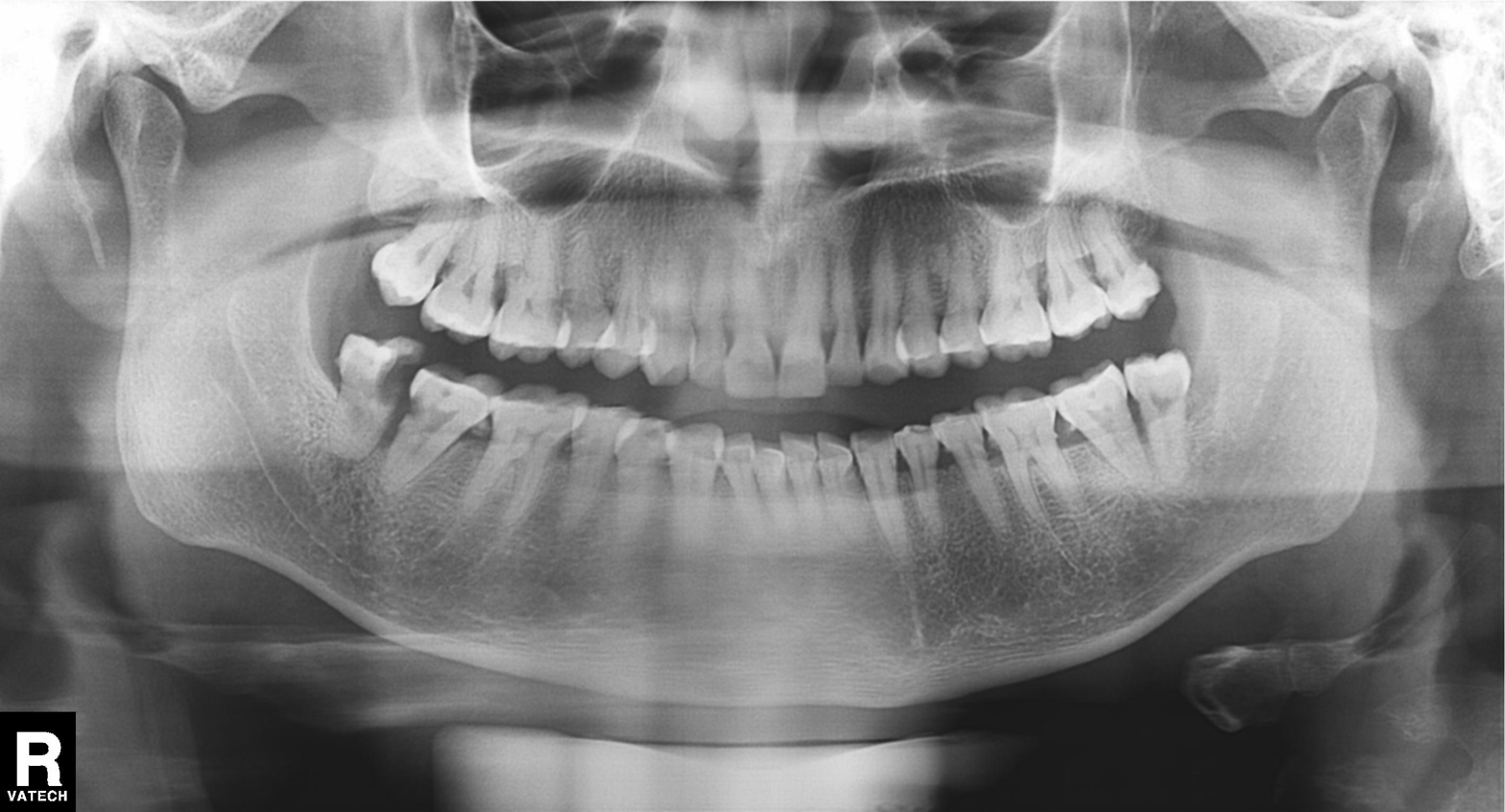
Q: What kind of scan is this?
A: Panoramic dental radiograph (orthopantomogram).
Q: What is the radiographic finding?
A: Alveolar bone loss.